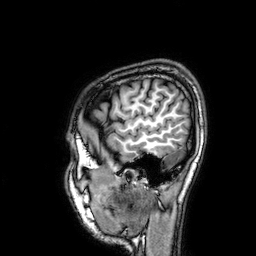
– modality: 3 Tesla brain MRI
– series: 3D T1-weighted
– study: ring-enhancing brain masses